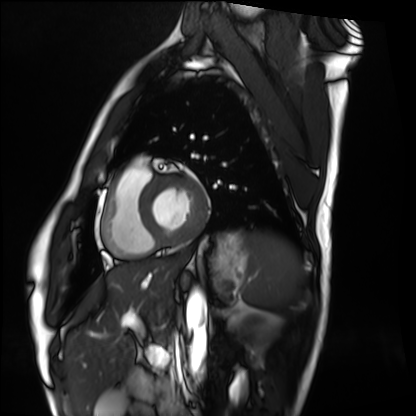
modality: cardiac MRI
cohort: healthy volunteer